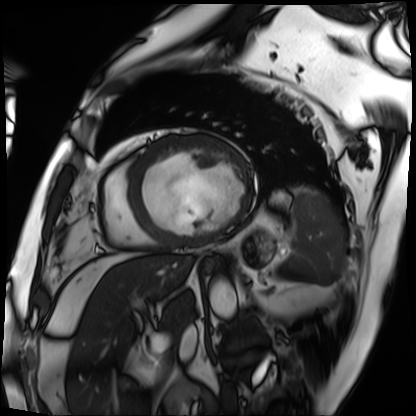
{"modality": "cardiac MRI", "cohort": "patient"}